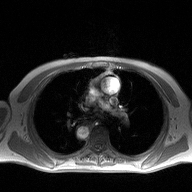
Case:
- modality — 2D phase-contrast cine MRI of the ascending aorta